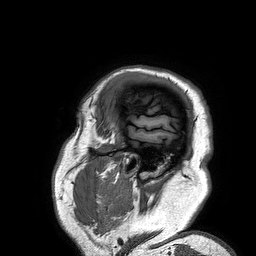
3 Tesla brain MRI. Series: 3D T1-weighted turbo field echo. Study: ring-enhancing brain masses.